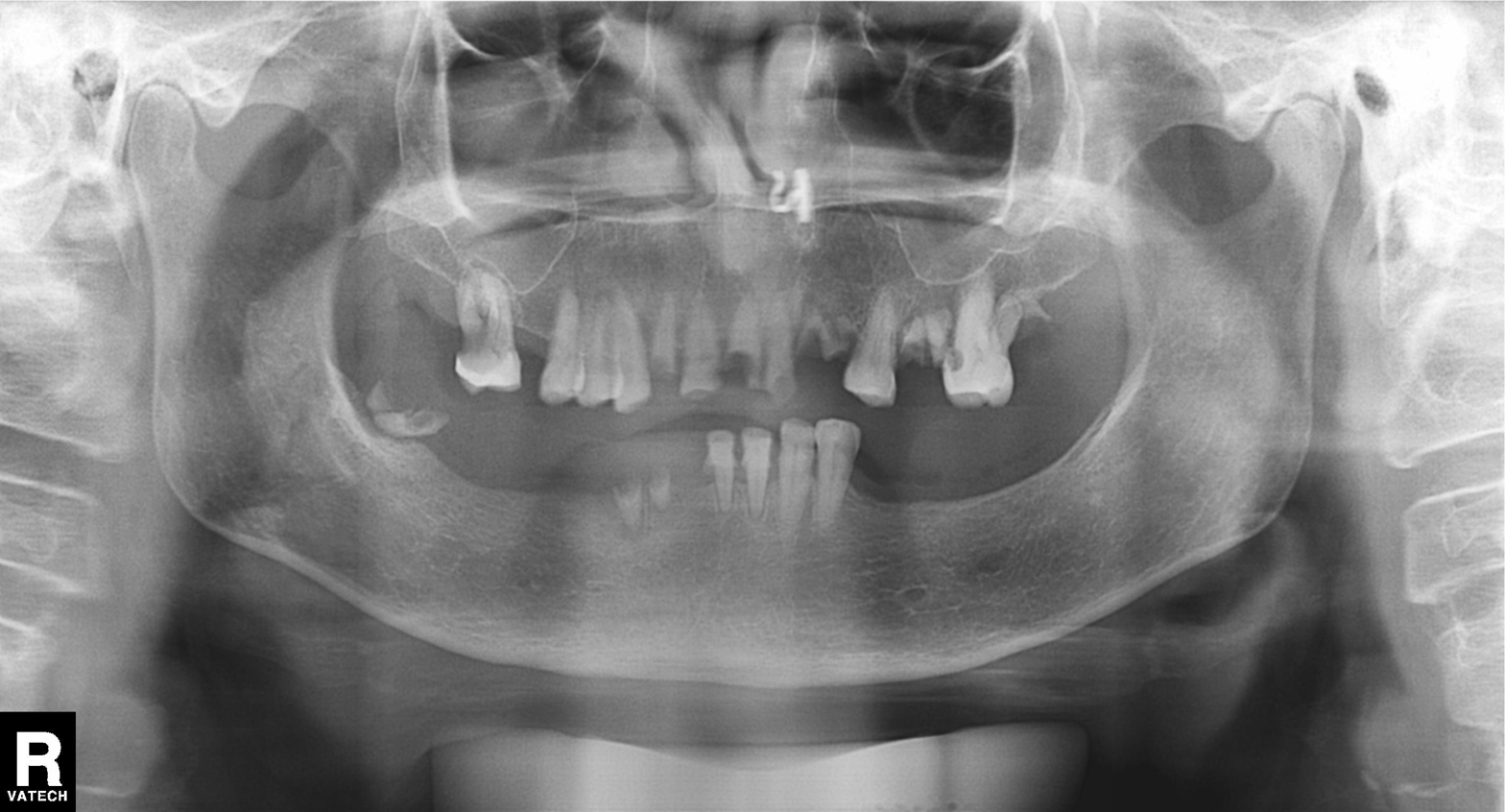
Q: What kind of scan is this?
A: Panoramic dental radiograph (orthopantomogram).
Q: What is the radiographic finding?
A: Alveolar bone loss.